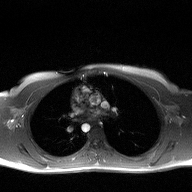
2D phase-contrast cine MRI of the ascending aorta, high-resolution GRAPPA acquisition.